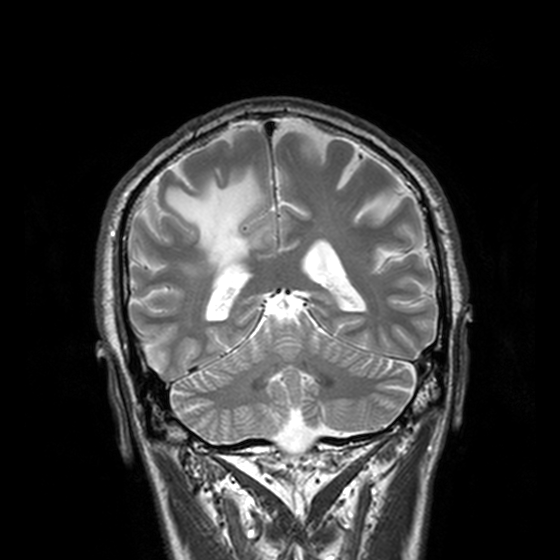
3 Tesla brain MRI. Series: T2-weighted turbo spin echo, 3 mm. Study: ring-enhancing brain masses.